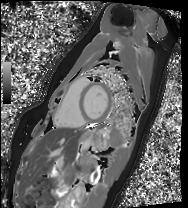
Cardiac MRI.
Subject group: healthy volunteer.